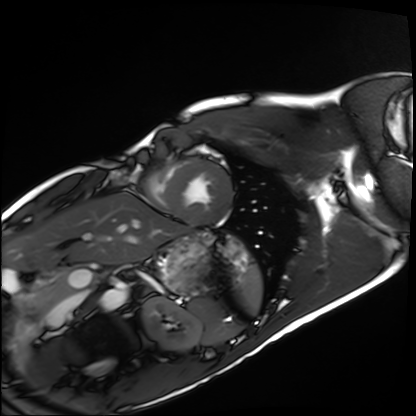
Summary:
Cardiac MRI. Subject group: healthy volunteer.